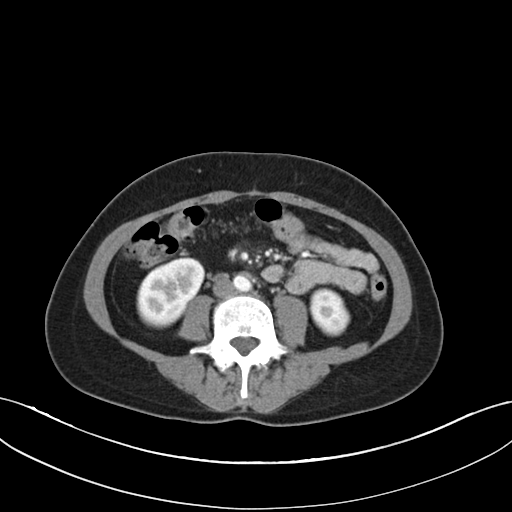
Q: What kind of scan is this?
A: Multiphase abdominal CT, liver, arterial phase.